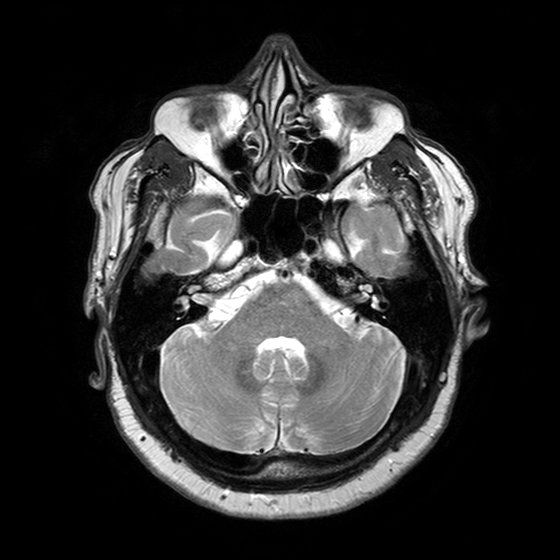
modality = 3 Tesla brain MRI | series = T2-weighted turbo spin echo with SENSE | study = ring-enhancing brain masses.